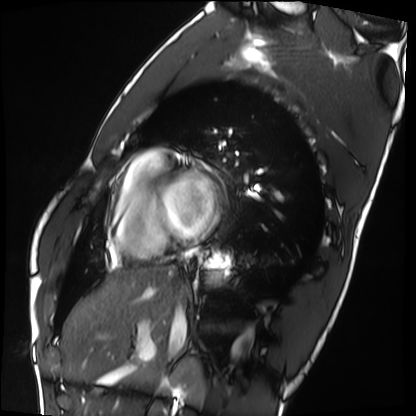
| field | value |
|---|---|
| modality | cardiac MRI |
| subject group | healthy volunteer |